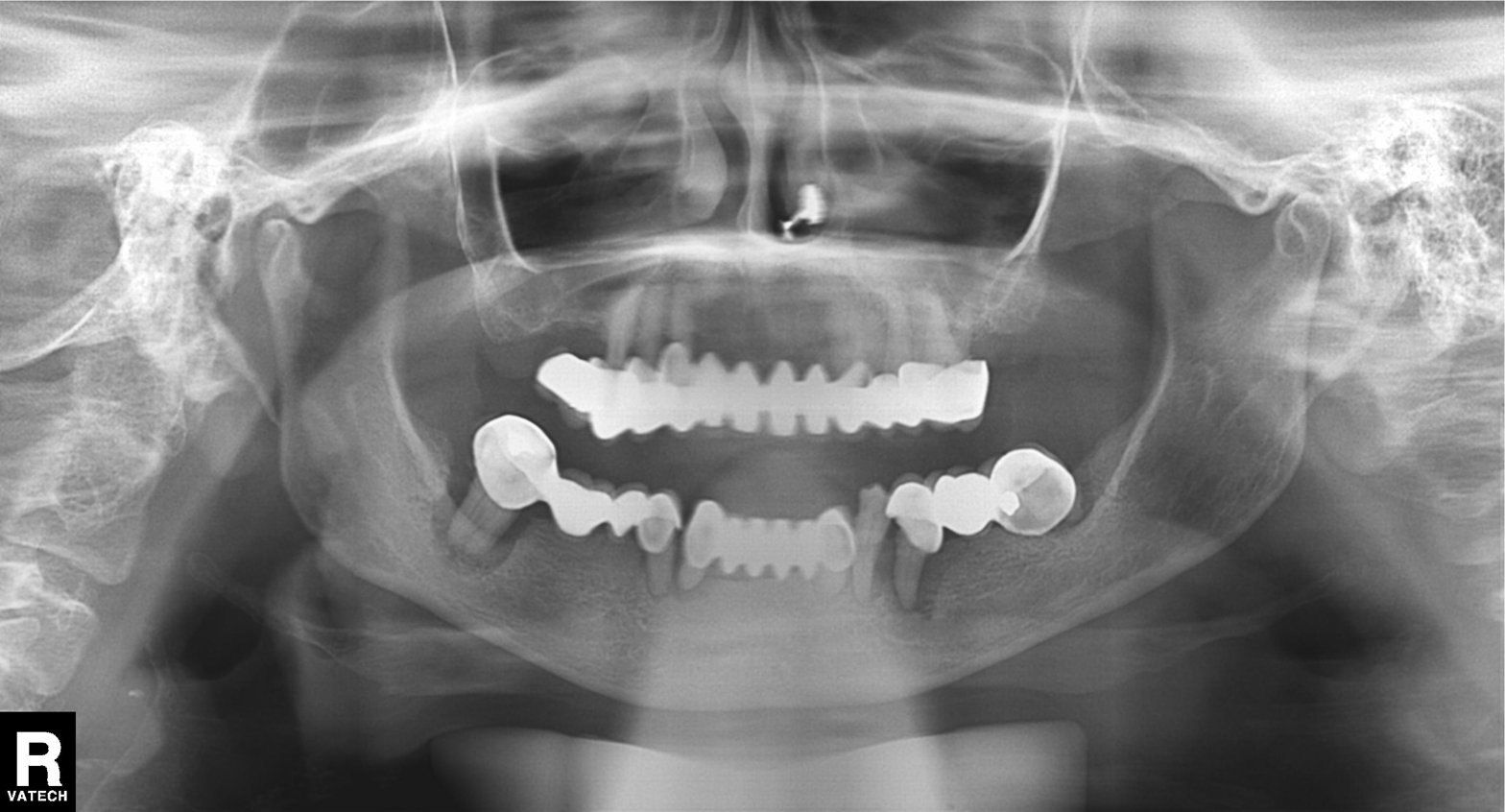
Panoramic dental radiograph (orthopantomogram). Finding: tooth impaction.